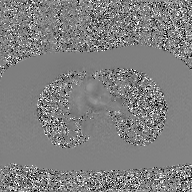
modality:
  type: 2D phase-contrast cine MRI
  region: ascending aorta
  reconstruction: GAN super-resolution reconstruction